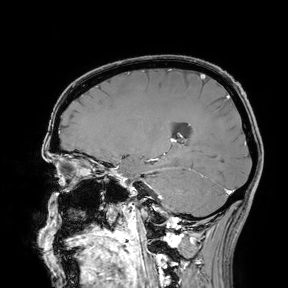
Summary: 3 Tesla brain MRI. Study: ring-enhancing brain masses.